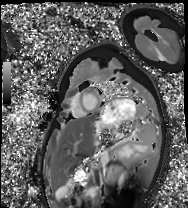
{
  "modality": "cardiac MRI",
  "cohort": "healthy volunteer"
}